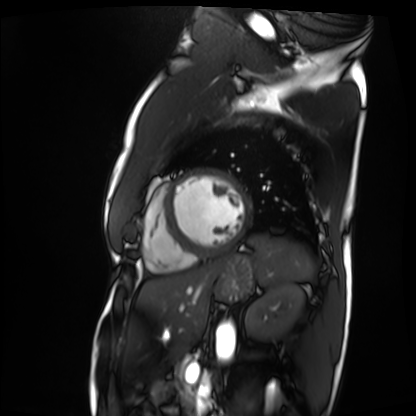
Cardiac MRI. Subject group: patient.